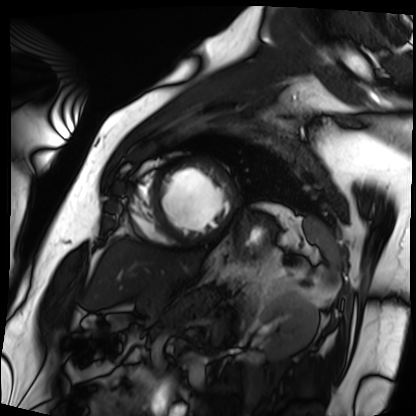
Summary:
Cardiac MRI. Subject group: patient.